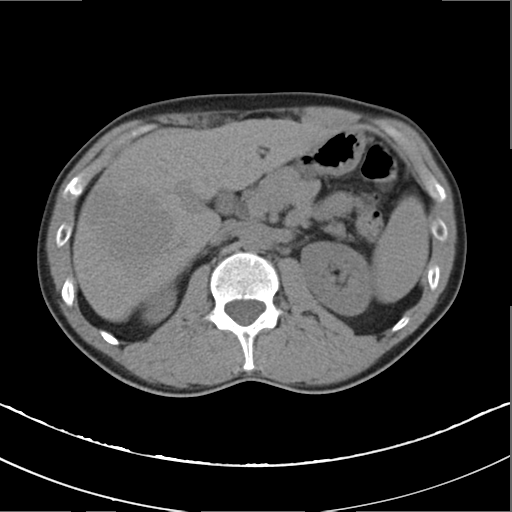
Case summary: Multiphase abdominal CT, liver, non-contrast phase. Patient: male, age 37.